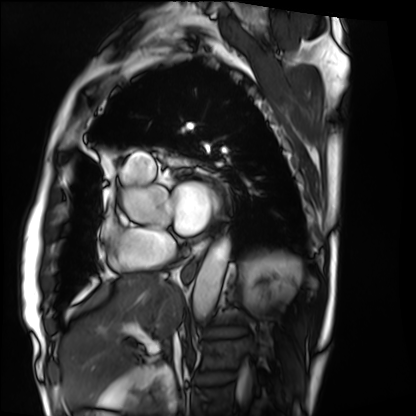
Q: What kind of scan is this?
A: Cardiac MRI.
Subject group: patient.